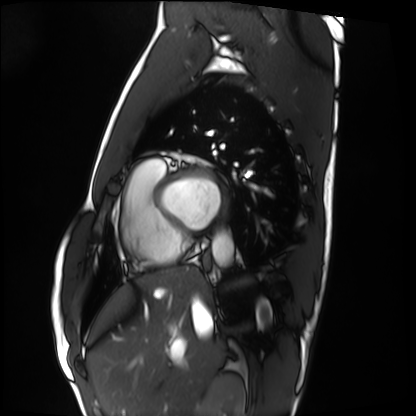
Clinical context:
Cardiac MRI. Subject group: healthy volunteer.